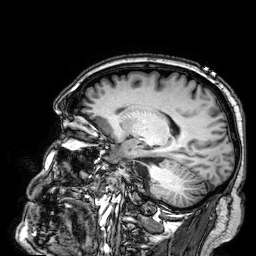
modality=3 Tesla brain MRI
series=3D T1-weighted
study=ring-enhancing brain masses